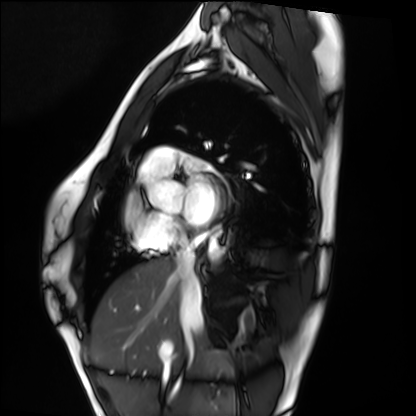
modality: cardiac MRI; subject group: healthy volunteer.